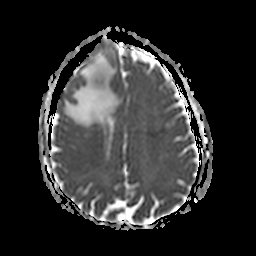
3 Tesla brain MRI.
Series: apparent diffusion coefficient (ADC) map.
Study: ring-enhancing brain masses.